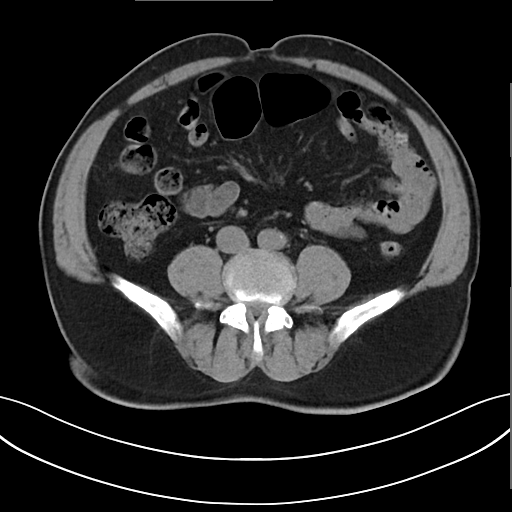
{
  "modality": {
    "type": "multiphase abdominal CT",
    "region": "liver",
    "phase": "non-contrast"
  },
  "patient": {
    "sex": "male",
    "age": 71
  },
  "history": [
    "viral hepatitis"
  ]
}